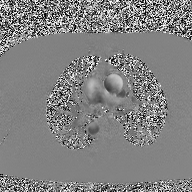
2D phase-contrast cine MRI of the ascending aorta, high-resolution GRAPPA acquisition.